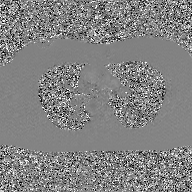
2D phase-contrast cine MRI of the ascending aorta, GAN super-resolution reconstruction.